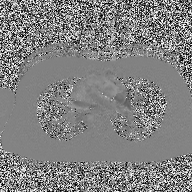
• modality · 2D phase-contrast cine MRI of the ascending aorta